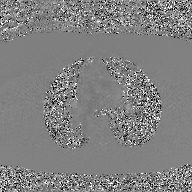
{"modality": {"type": "2D phase-contrast cine MRI", "region": "ascending aorta", "reconstruction": "GAN super-resolution reconstruction"}}